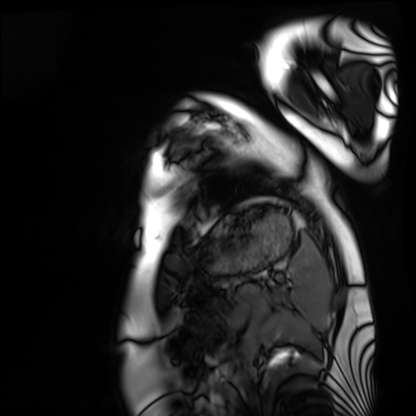
Cardiac MRI.
Subject group: healthy volunteer.